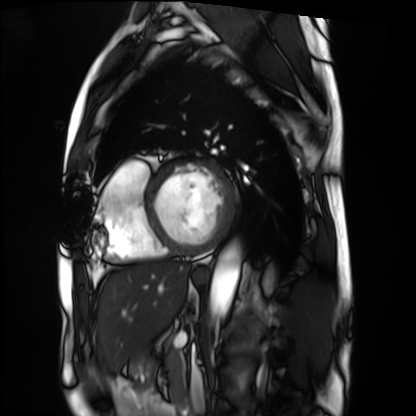
  modality: cardiac MRI
  cohort: patient